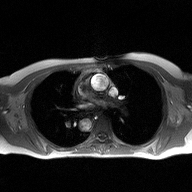
2D phase-contrast cine MRI of the ascending aorta, high-resolution GRAPPA acquisition.